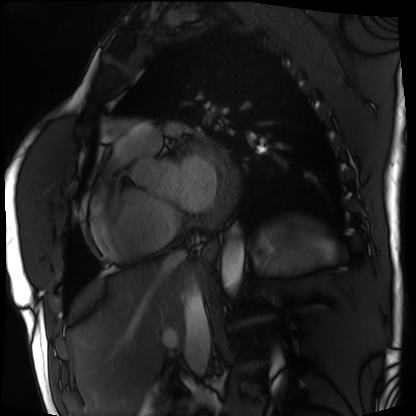
<record>
  <modality>cardiac MRI</modality>
  <cohort>patient</cohort>
</record>